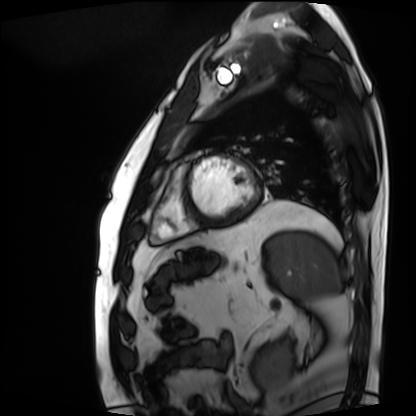
– modality — cardiac MRI
– subject group — patient